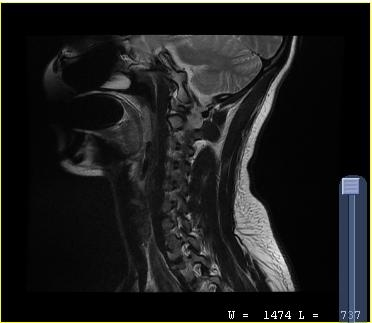
<study>
<modality>
  <type>cervical spine MRI</type>
</modality>
<study_topic>cervical spondylosis</study_topic>
</study>